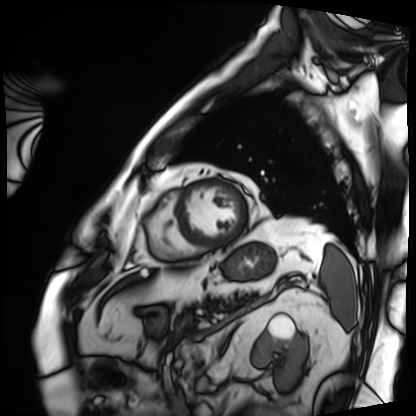
Clinical context:
Cardiac MRI. Subject group: patient.